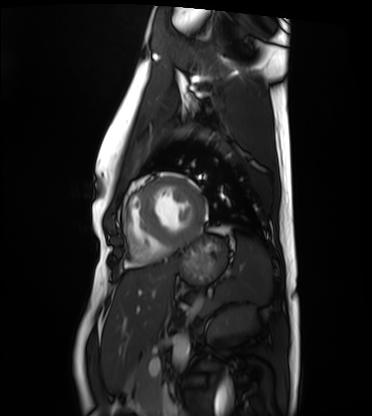
Summary:
Cardiac MRI. Subject group: healthy volunteer.